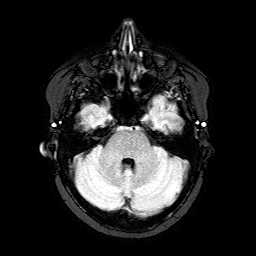
3 Tesla brain MRI. Series: FLAIR with SPAIR. Study: ring-enhancing brain masses.